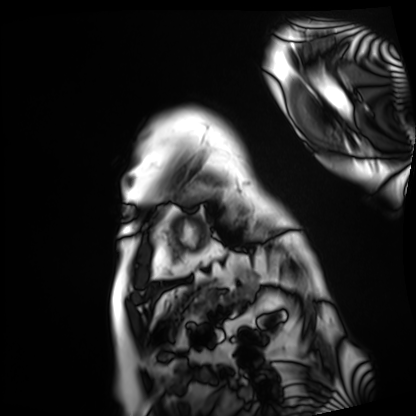
Q: What kind of scan is this?
A: Cardiac MRI.
Subject group: patient.